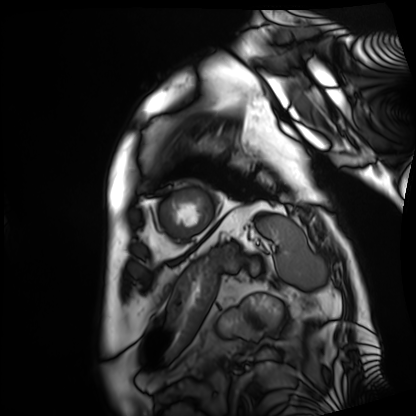
modality: cardiac MRI; subject group: patient.